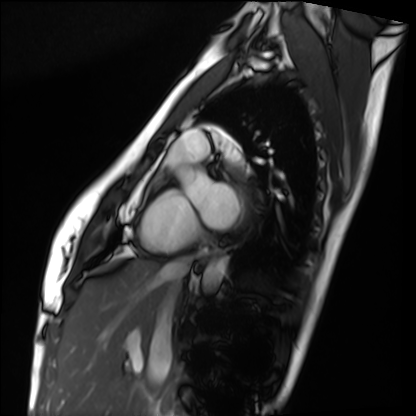
Case summary: Cardiac MRI. Subject group: healthy volunteer.